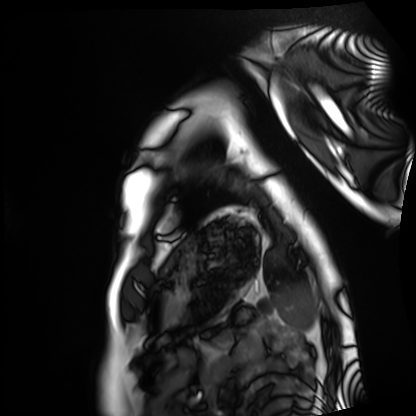
modality = cardiac MRI; subject group = healthy volunteer.